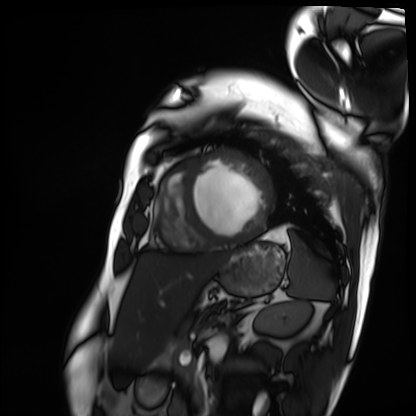
  modality: cardiac MRI
  cohort: patient